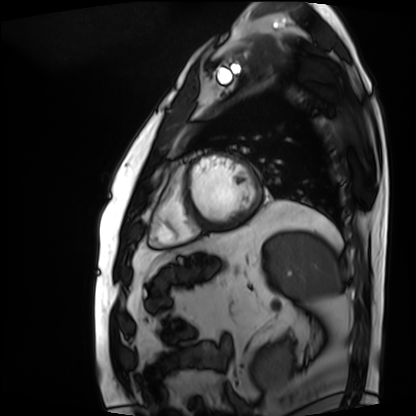
Case summary:
Cardiac MRI. Subject group: patient.